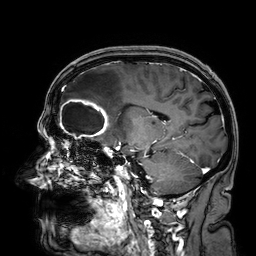
Summary: 3 Tesla brain MRI. Study: ring-enhancing brain masses.